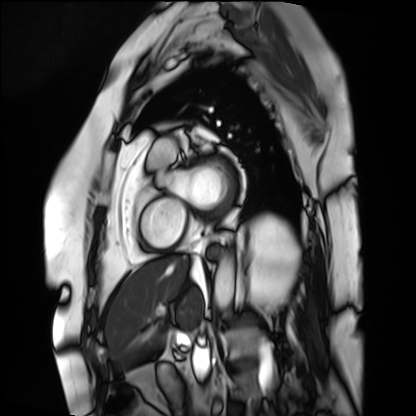
Case:
- modality — cardiac MRI
- subject group — patient